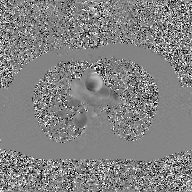
  modality:
    type: 2D phase-contrast cine MRI
    region: ascending aorta
    reconstruction: GAN super-resolution reconstruction